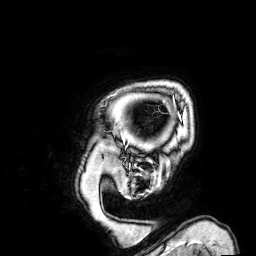
Case:
* modality — 3 Tesla brain MRI
* series — 3D T1-weighted
* study — ring-enhancing brain masses